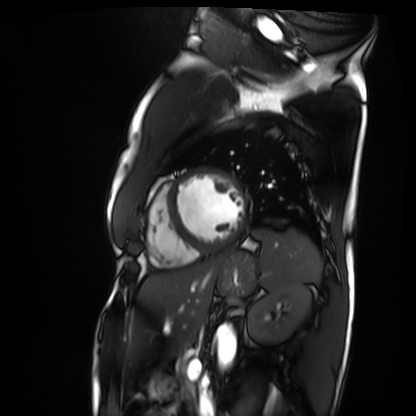
<record>
<modality>cardiac MRI</modality>
<cohort>patient</cohort>
</record>